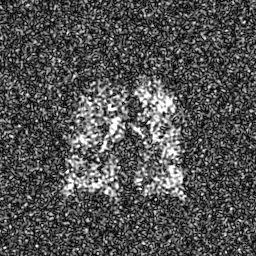
Q: What kind of scan is this?
A: Hyperpolarized 129Xe ventilation MRI of the lungs.
Q: SNR level?
A: 8 of 8 (the deposit holds this scan as its native image and as seven SNR-degraded versions).